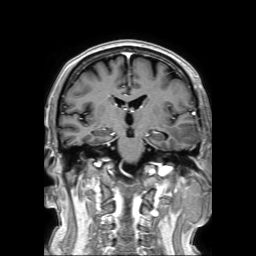
<scan>
  <modality>
    <type>brain MRI</type>
    <field_strength>3T</field_strength>
  </modality>
  <series>3D T1-weighted TFE with SENSE</series>
  <study_topic>ring-enhancing brain masses</study_topic>
</scan>